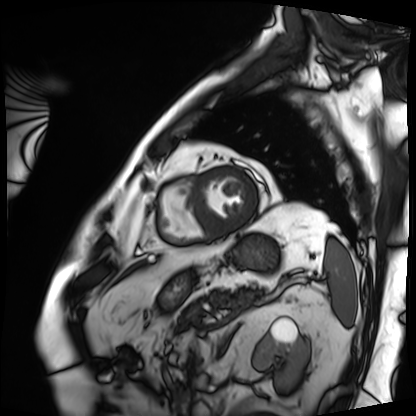
Case summary: Cardiac MRI. Subject group: patient.